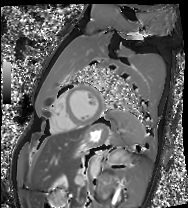
modality=cardiac MRI
subject group=healthy volunteer